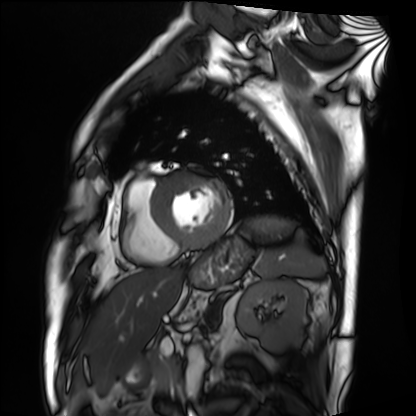
modality: cardiac MRI
subject group: patient